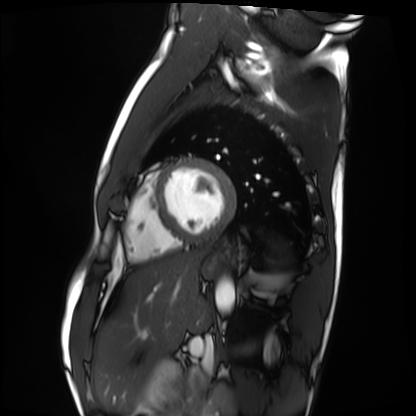
Summary:
Cardiac MRI. Subject group: healthy volunteer.